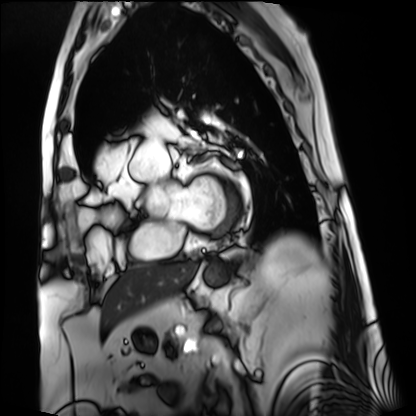
modality: cardiac MRI | subject group: patient.